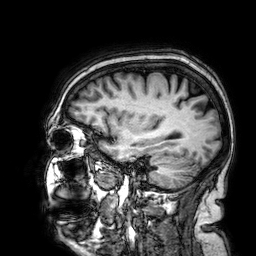
3 Tesla brain MRI. Series: 3D T1-weighted. Study: ring-enhancing brain masses.